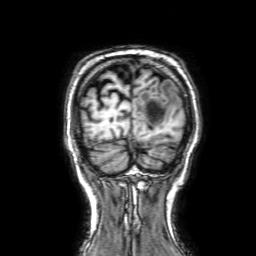
Q: What kind of scan is this?
A: 3 Tesla brain MRI.
Q: Series?
A: 3D T1-weighted with SENSE.
Study: ring-enhancing brain masses.